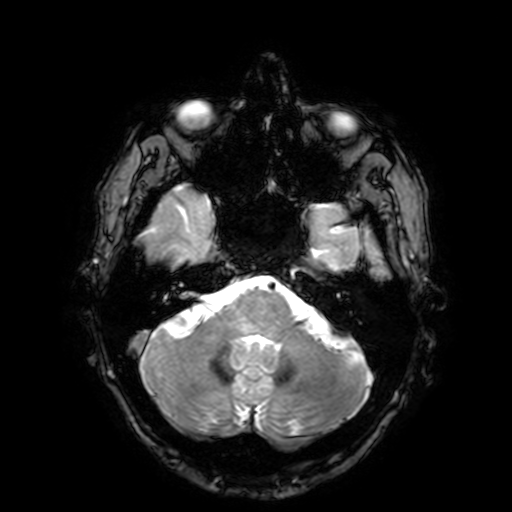
<record>
<modality>
  <type>brain MRI</type>
  <field_strength>3T</field_strength>
</modality>
<series>T2-weighted fast field echo with SENSE</series>
<study_topic>ring-enhancing brain masses</study_topic>
</record>